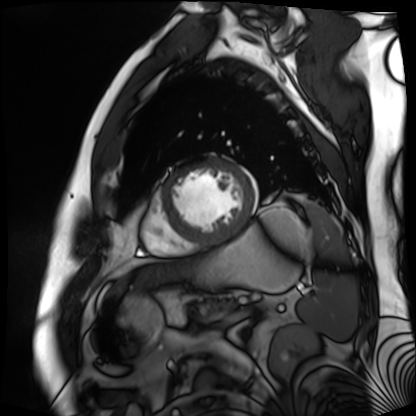
| field | value |
|---|---|
| modality | cardiac MR image of the myocardium |
| subject cohort | cardiac patient |